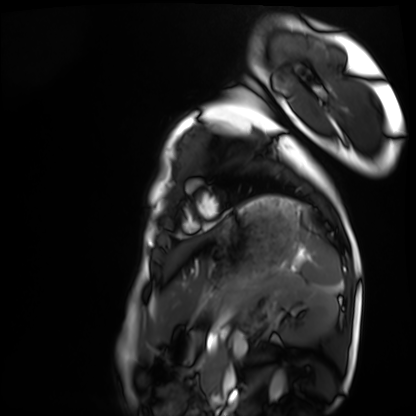
Clinical context: Cardiac MRI. Subject group: healthy volunteer.